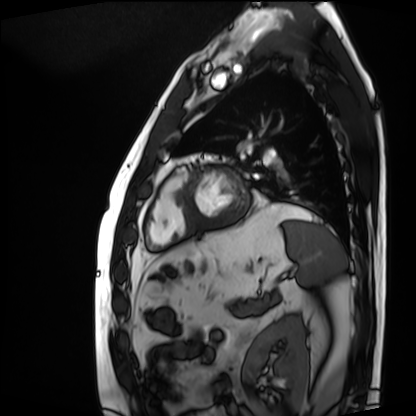
Summary:
Cardiac MRI. Subject group: patient.